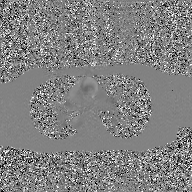
Summary:
2D phase-contrast cine MRI of the ascending aorta, GAN super-resolution reconstruction.